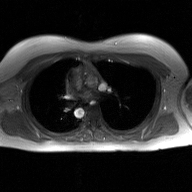
Summary: 2D phase-contrast cine MRI of the ascending aorta, GAN super-resolution reconstruction.